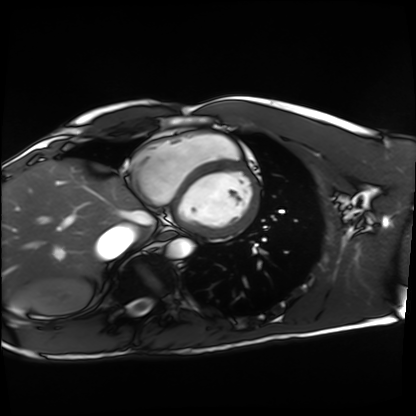
Cardiac MRI. Subject group: healthy volunteer.